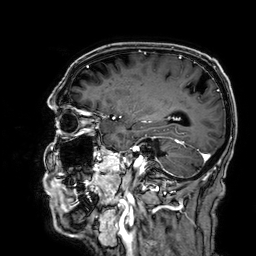
modality: 3 Tesla brain MRI; series: 3D T1-weighted; study: ring-enhancing brain masses.